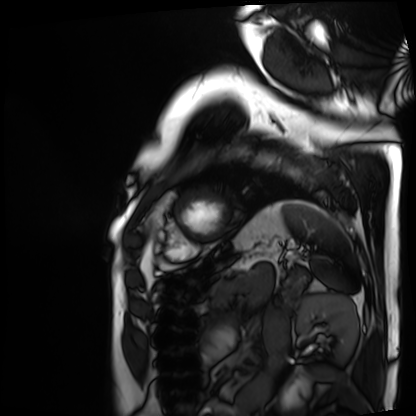
Cardiac MRI.
Subject group: patient.